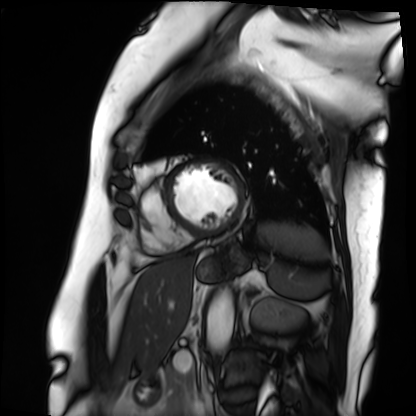
modality: cardiac MRI
cohort: patient